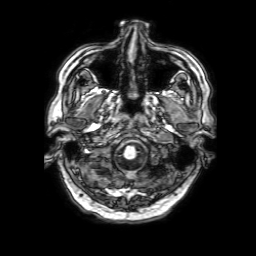
modality: 3 Tesla brain MRI; series: 3D T1-weighted with SENSE; study: ring-enhancing brain masses.